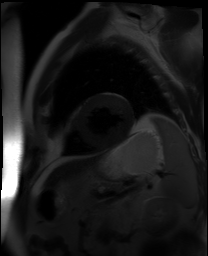
Cardiac MR image of the myocardium. Subject cohort: cardiac patient.